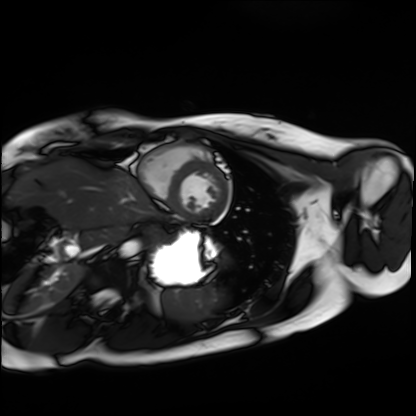
| field | value |
|---|---|
| modality | cardiac MRI |
| subject group | healthy volunteer |